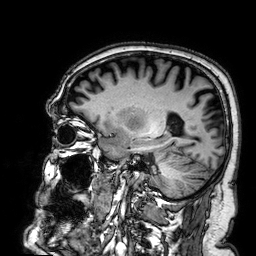
Summary:
3 Tesla brain MRI. Series: 3D T1-weighted. Study: ring-enhancing brain masses.